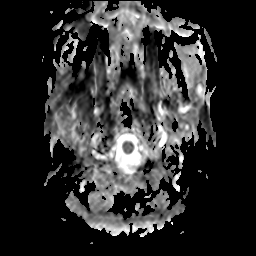
3 Tesla brain MRI.
Series: apparent diffusion coefficient (ADC) map.
Study: ring-enhancing brain masses.